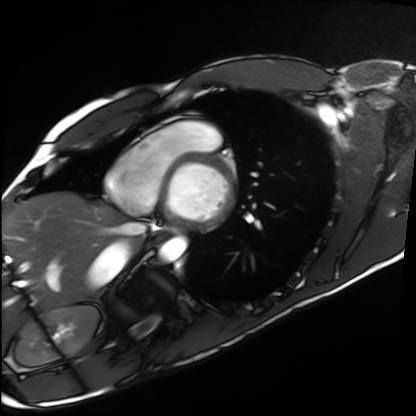
Case summary: Cardiac MRI. Subject group: healthy volunteer.